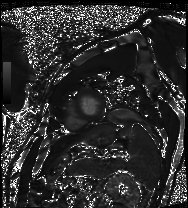
<scan>
  <modality>cardiac MRI</modality>
  <cohort>patient</cohort>
</scan>